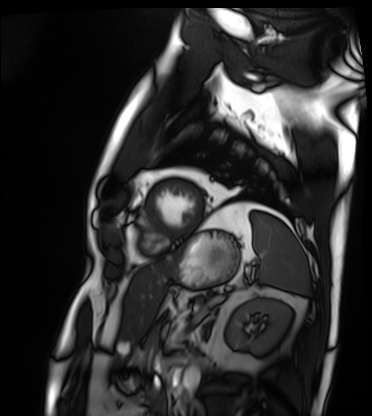
Summary:
Cardiac MRI. Subject group: patient.